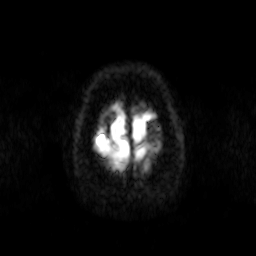
| field | value |
|---|---|
| modality | 3 Tesla brain MRI |
| series | diffusion-weighted imaging |
| study | ring-enhancing brain masses |